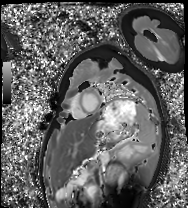
Q: What kind of scan is this?
A: Cardiac MRI.
Subject group: healthy volunteer.